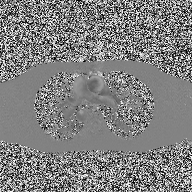
2D phase-contrast cine MRI of the ascending aorta, high-resolution GRAPPA acquisition.